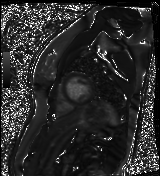
– modality: cardiac MR image of the myocardium
– subject cohort: healthy volunteer